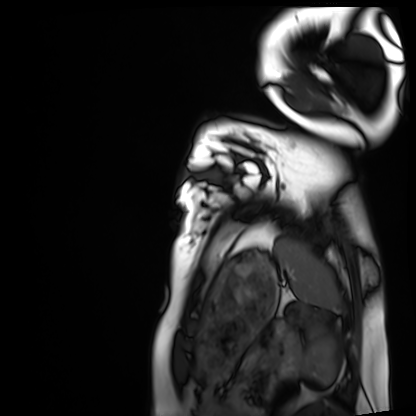
Case:
- modality: cardiac MRI
- subject group: healthy volunteer